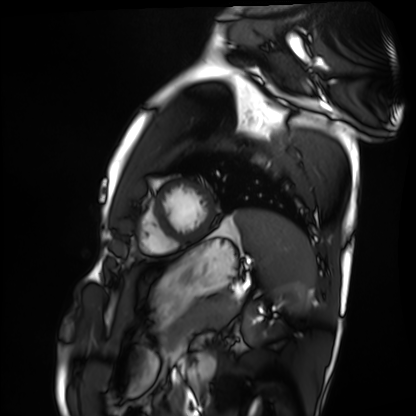
Cardiac MRI.
Subject group: healthy volunteer.